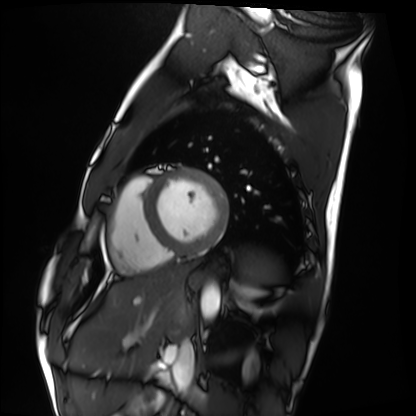
{"modality": "cardiac MRI", "cohort": "healthy volunteer"}